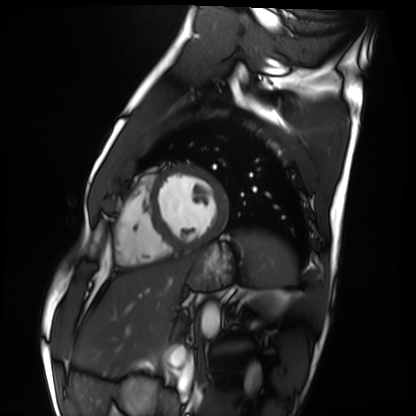
modality: cardiac MRI
subject group: healthy volunteer